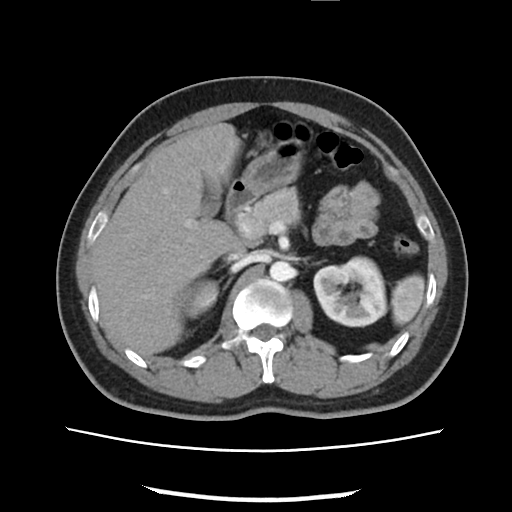
Multiphase abdominal CT, liver, arterial phase.
Patient: male, age 33.